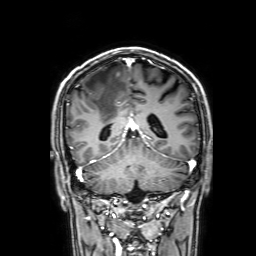
Summary:
3 Tesla brain MRI. Series: 3D T1-weighted with SENSE. Study: ring-enhancing brain masses.